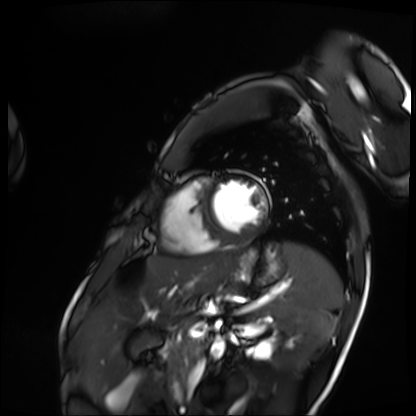
Cardiac MRI. Subject group: patient.